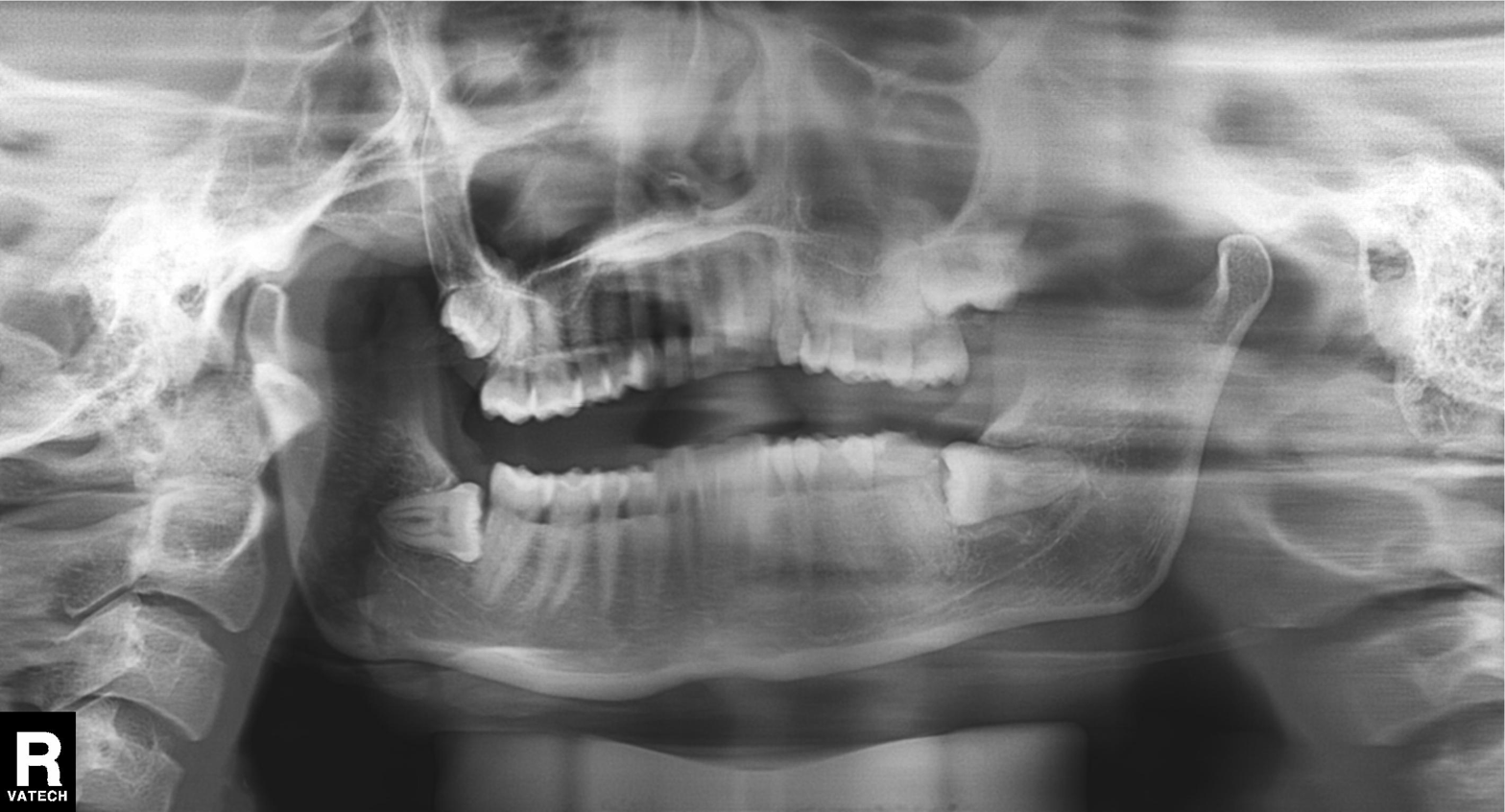
Panoramic dental radiograph (orthopantomogram).
Finding: alveolar bone loss.